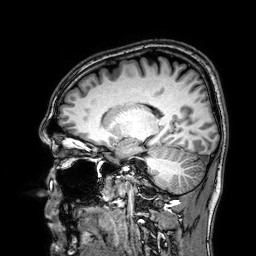
Clinical context: 3 Tesla brain MRI. Series: 3D T1-weighted. Study: ring-enhancing brain masses.